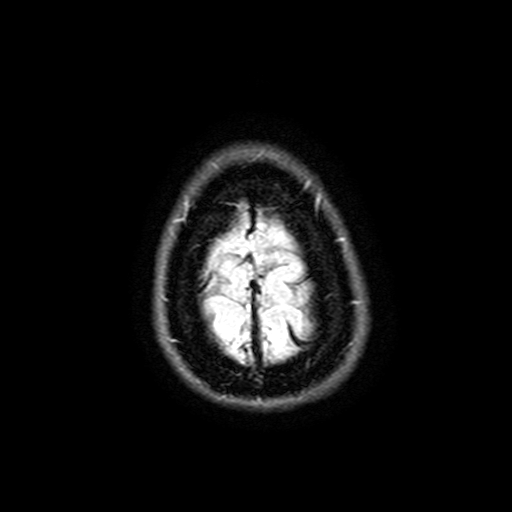
modality = 3 Tesla brain MRI; series = FLAIR with SPAIR, 3 mm; study = ring-enhancing brain masses.